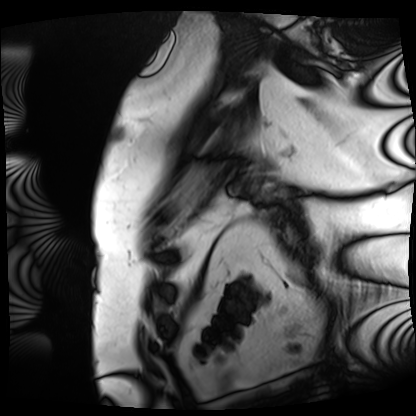
• modality — cardiac MRI
• subject group — patient